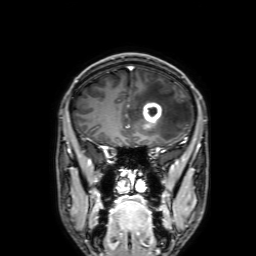
* modality: 3 Tesla brain MRI
* series: 3D T1-weighted with SENSE
* study: ring-enhancing brain masses